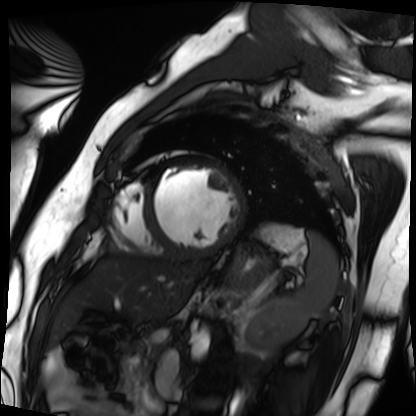
Cardiac MRI. Subject group: patient.